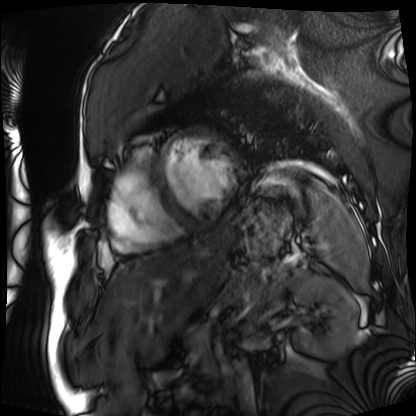
Case summary: Cardiac MRI. Subject group: patient.